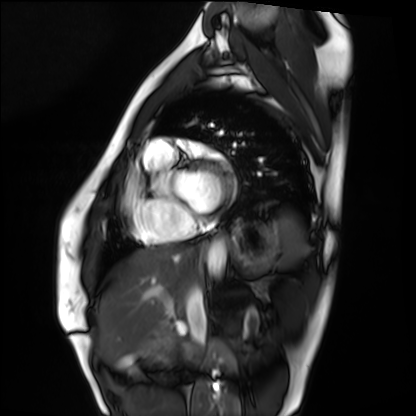
modality: cardiac MRI
cohort: healthy volunteer